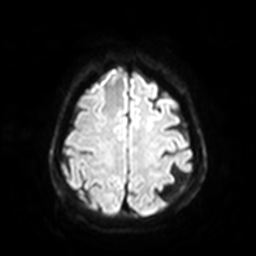
Q: What kind of scan is this?
A: 3 Tesla brain MRI.
Q: Series?
A: Diffusion-weighted imaging with SENSE (WIP).
Study: ring-enhancing brain masses.